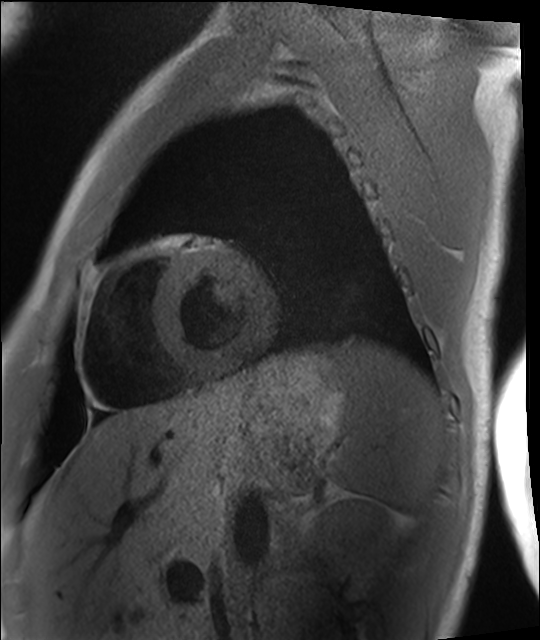
* modality · cardiac MRI
* subject group · healthy volunteer